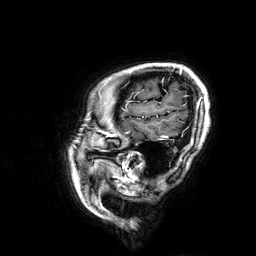
3 Tesla brain MRI. Series: 3D T1-weighted. Study: ring-enhancing brain masses.